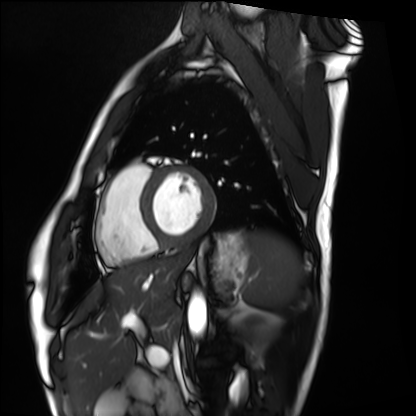
Case summary:
Cardiac MRI. Subject group: healthy volunteer.